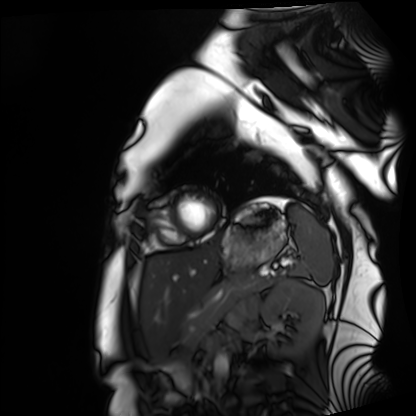
Q: What kind of scan is this?
A: Cardiac MRI.
Subject group: healthy volunteer.